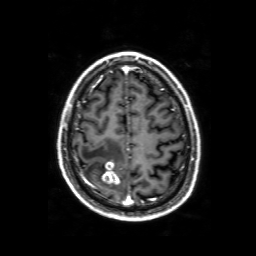
Q: What kind of scan is this?
A: 3 Tesla brain MRI.
Q: Series?
A: 3D T1-weighted with SENSE.
Study: ring-enhancing brain masses.